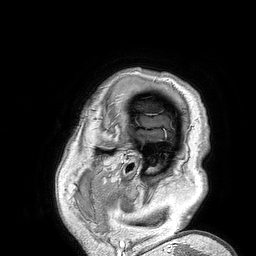
modality: 3 Tesla brain MRI; series: 3D T1-weighted turbo field echo; study: ring-enhancing brain masses.